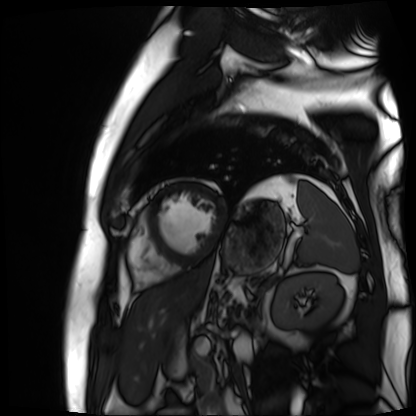
Q: What kind of scan is this?
A: Cardiac MR image of the myocardium.
Subject cohort: cardiac patient.